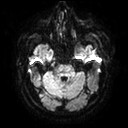
3 Tesla brain MRI. Series: diffusion tensor imaging (medium iso). Study: ring-enhancing brain masses.